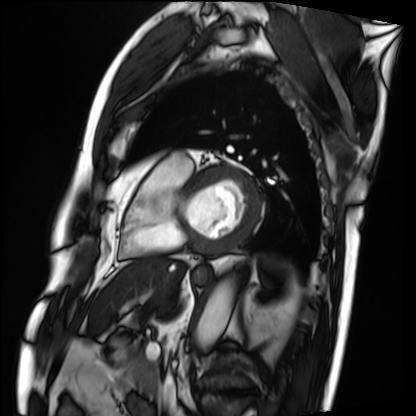
modality=cardiac MRI; subject group=patient.